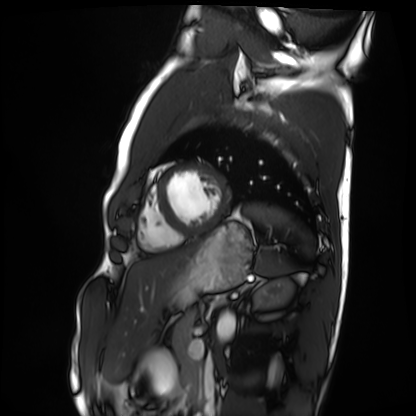
Summary: Cardiac MRI. Subject group: healthy volunteer.